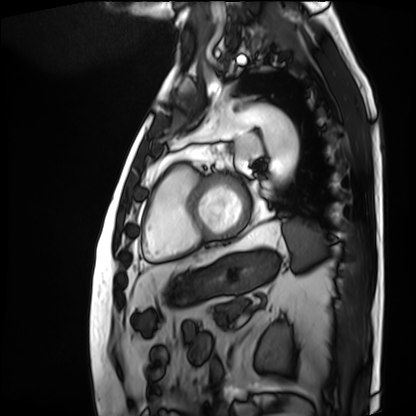
Clinical context:
Cardiac MRI. Subject group: patient.